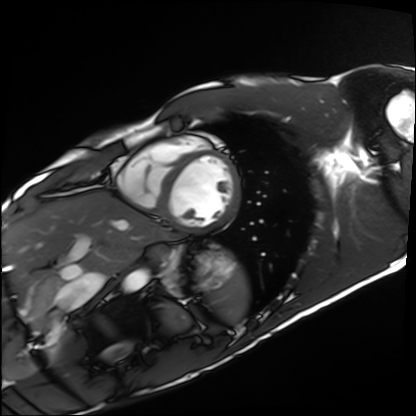
Cardiac MRI. Subject group: healthy volunteer.